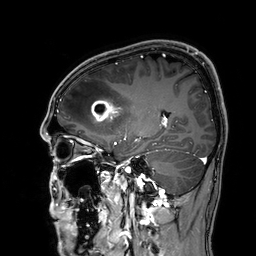
{
  "modality": {
    "type": "brain MRI",
    "field_strength": "3T"
  },
  "series": "3D T1-weighted",
  "study_topic": "ring-enhancing brain masses"
}